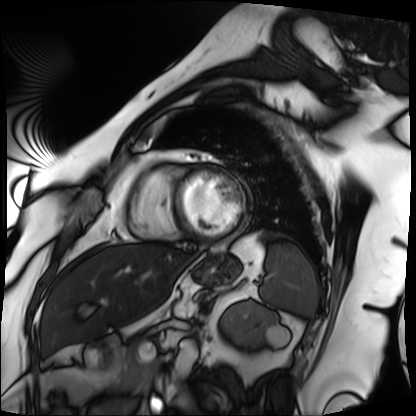
Cardiac MRI. Subject group: patient.